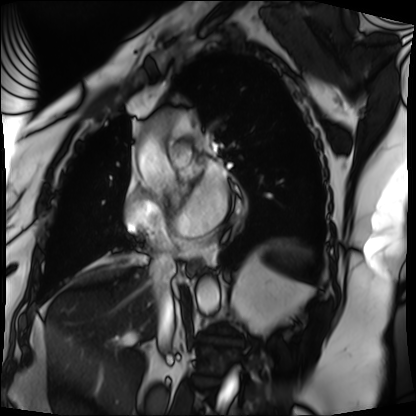
modality: cardiac MRI
cohort: patient